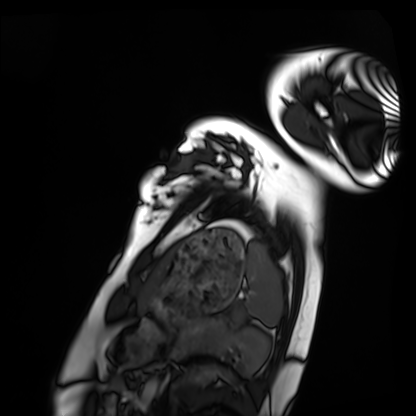
modality = cardiac MRI; subject group = healthy volunteer.